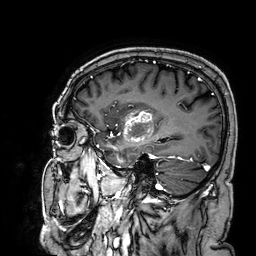
3 Tesla brain MRI. Series: 3D T1-weighted. Study: ring-enhancing brain masses.